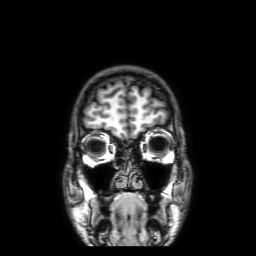
modality = 3 Tesla brain MRI | series = 3D T1-weighted with SENSE | study = ring-enhancing brain masses.